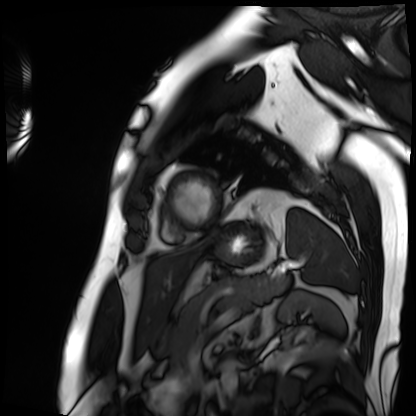
{"modality": "cardiac MRI", "cohort": "patient"}